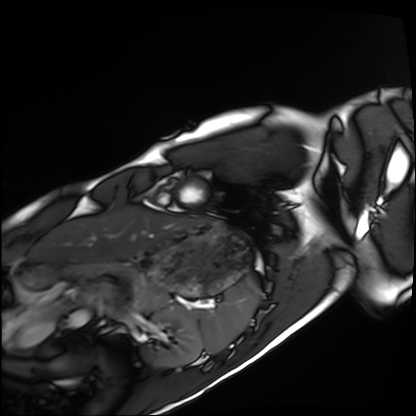
Q: What kind of scan is this?
A: Cardiac MRI.
Subject group: healthy volunteer.